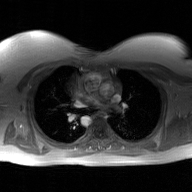
modality — 2D phase-contrast cine MRI of the ascending aorta, GAN super-resolution reconstruction